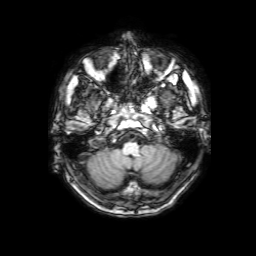
Q: What kind of scan is this?
A: 3 Tesla brain MRI.
Q: Series?
A: 3D T1-weighted with SENSE.
Study: ring-enhancing brain masses.